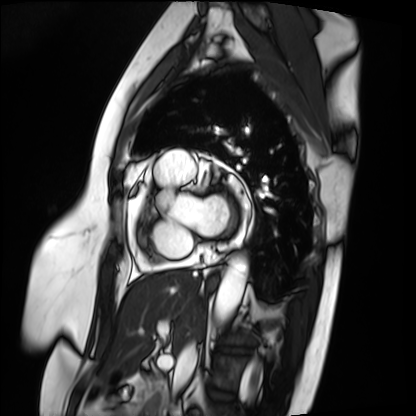
Clinical context:
Cardiac MRI. Subject group: patient.